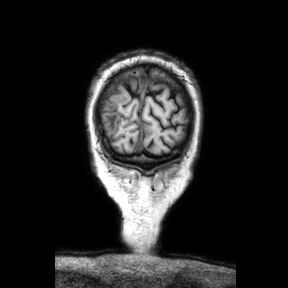
3 Tesla brain MRI.
Series: coronal.
Study: ring-enhancing brain masses.